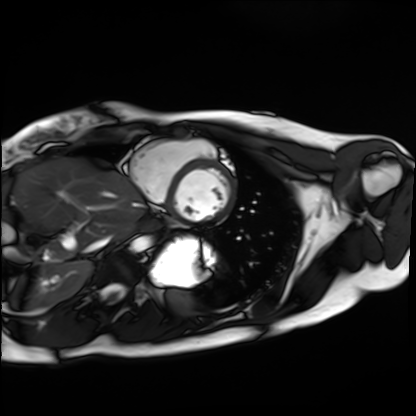
Cardiac MRI.
Subject group: healthy volunteer.